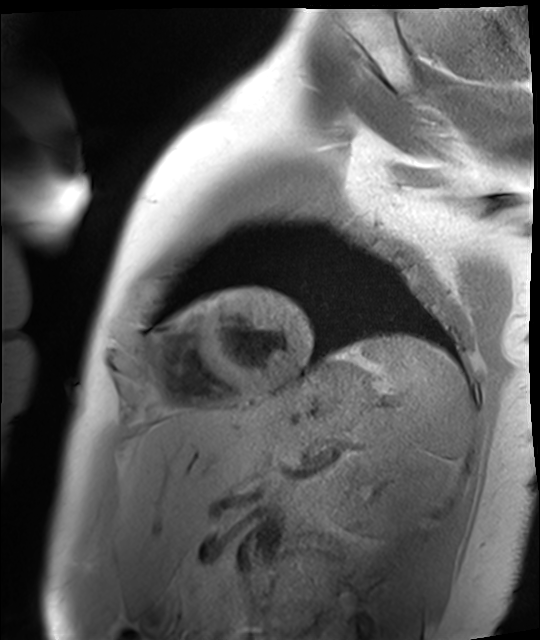
Q: What kind of scan is this?
A: Cardiac MR image of the myocardium.
Subject cohort: healthy volunteer.